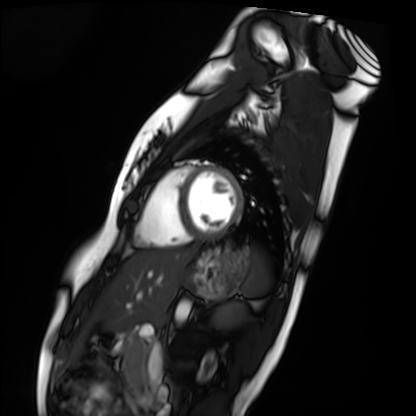
Q: What kind of scan is this?
A: Cardiac MRI.
Subject group: healthy volunteer.